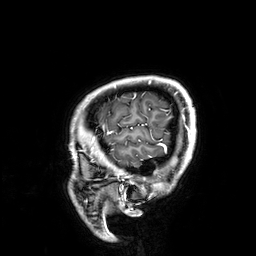
modality: 3 Tesla brain MRI | series: 3D T1-weighted | study: ring-enhancing brain masses.